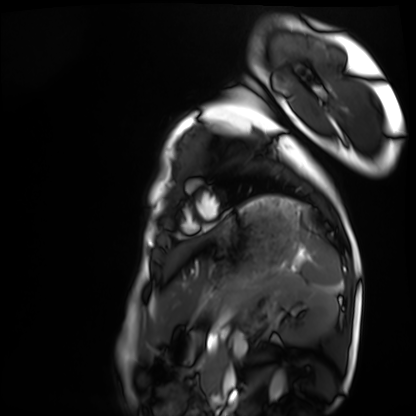
modality=cardiac MRI | subject group=healthy volunteer.